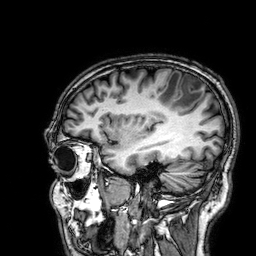
<study>
<modality>
  <type>brain MRI</type>
  <field_strength>3T</field_strength>
</modality>
<series>3D T1-weighted</series>
<study_topic>ring-enhancing brain masses</study_topic>
</study>